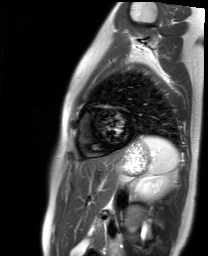
modality=cardiac MR image of the myocardium; subject cohort=healthy volunteer.